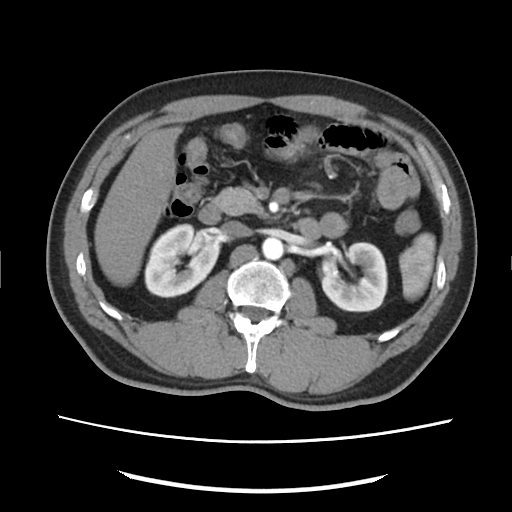
Q: What kind of scan is this?
A: Multiphase abdominal CT, liver, arterial phase.
Q: Patient?
A: Male, age 46.
Q: History?
A: Cirrhosis, viral hepatitis.